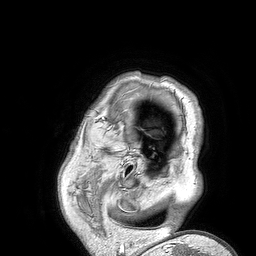
  modality:
    type: brain MRI
    field_strength: 3T
  series: 3D T1-weighted turbo field echo
  study_topic: ring-enhancing brain masses